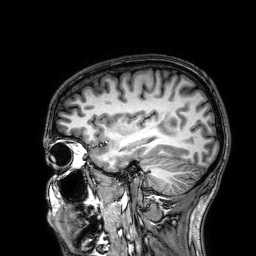
Summary:
3 Tesla brain MRI. Series: 3D T1-weighted. Study: ring-enhancing brain masses.